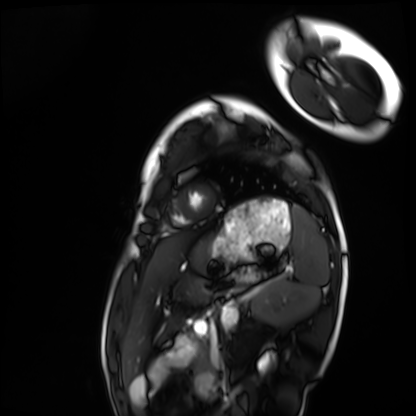
Case summary:
Cardiac MRI. Subject group: healthy volunteer.